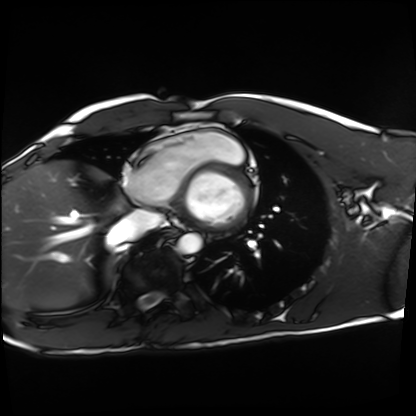
Cardiac MRI. Subject group: healthy volunteer.